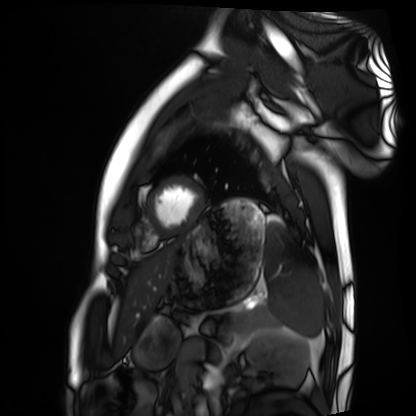
Clinical context:
Cardiac MRI. Subject group: healthy volunteer.